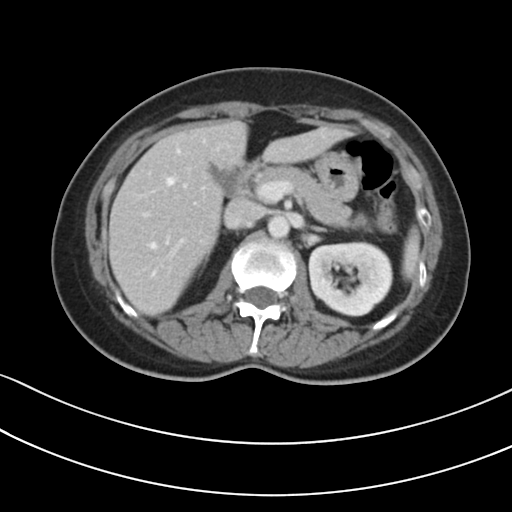
modality: multiphase abdominal CT, liver, portal venous phase | patient: female, age 50.